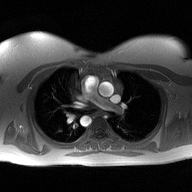
Summary: 2D phase-contrast cine MRI of the ascending aorta, high-resolution GRAPPA acquisition.